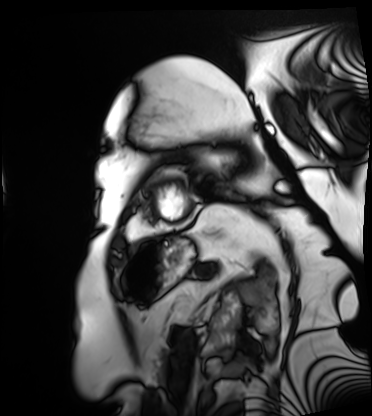
modality: cardiac MRI, subject group: patient.